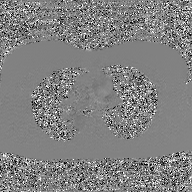
<case>
  <modality>
    <type>2D phase-contrast cine MRI</type>
    <region>ascending aorta</region>
    <reconstruction>GAN super-resolution reconstruction</reconstruction>
  </modality>
</case>